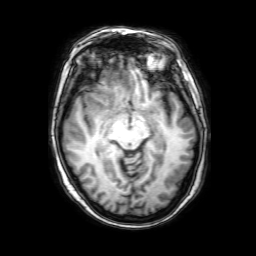
| field | value |
|---|---|
| modality | 3 Tesla brain MRI |
| series | 3D T1-weighted with SENSE |
| study | ring-enhancing brain masses |